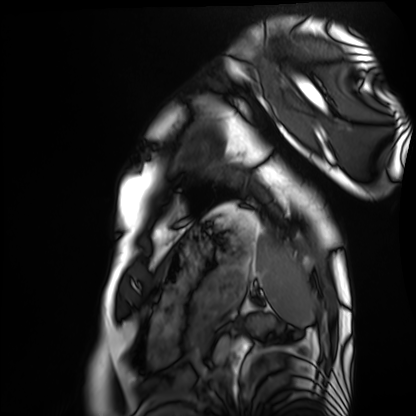
Q: What kind of scan is this?
A: Cardiac MRI.
Subject group: healthy volunteer.